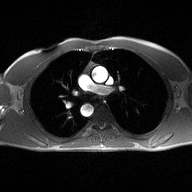
2D phase-contrast cine MRI of the ascending aorta, high-resolution GRAPPA acquisition.